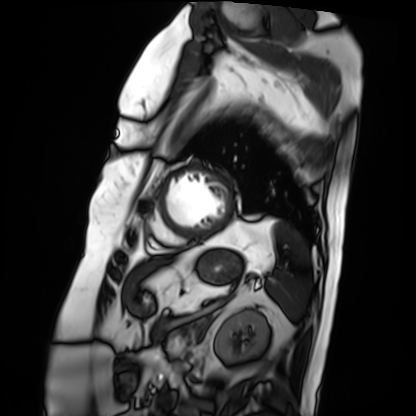
modality: cardiac MRI, subject group: patient.